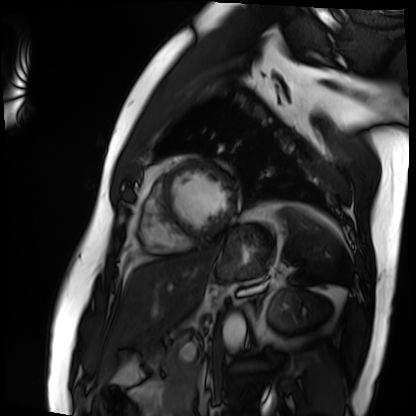
{
  "modality": "cardiac MRI",
  "cohort": "patient"
}